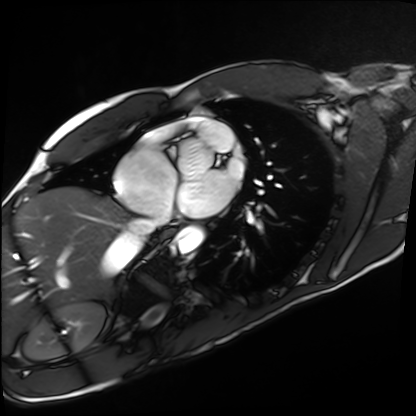
Summary:
Cardiac MRI. Subject group: healthy volunteer.